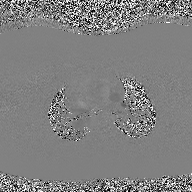
modality = 2D phase-contrast cine MRI of the ascending aorta